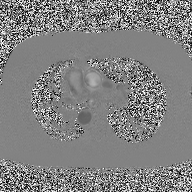
modality: 2D phase-contrast cine MRI of the ascending aorta.